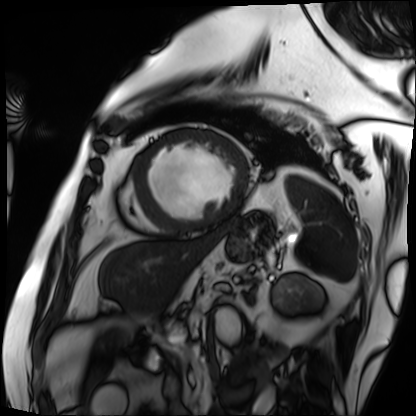
Summary:
Cardiac MRI. Subject group: patient.